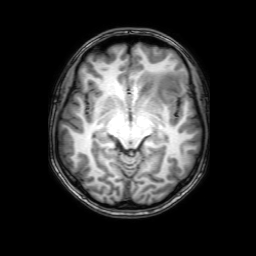
<case>
<modality>
  <type>brain MRI</type>
  <field_strength>3T</field_strength>
</modality>
<series>3D T1-weighted with SENSE</series>
<study_topic>ring-enhancing brain masses</study_topic>
</case>